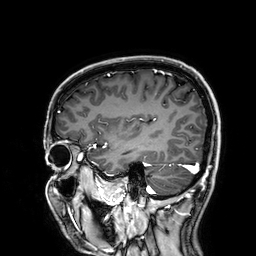
3 Tesla brain MRI. Series: 3D T1-weighted. Study: ring-enhancing brain masses.